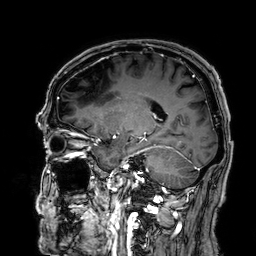
3 Tesla brain MRI. Series: 3D T1-weighted. Study: ring-enhancing brain masses.